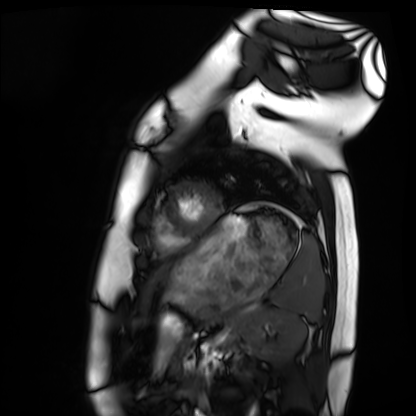
modality: cardiac MRI; subject group: healthy volunteer.